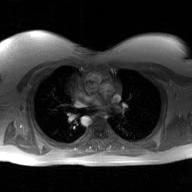
<study>
<modality>
  <type>2D phase-contrast cine MRI</type>
  <region>ascending aorta</region>
  <reconstruction>GAN super-resolution reconstruction</reconstruction>
</modality>
</study>